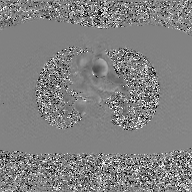
modality — 2D phase-contrast cine MRI of the ascending aorta, GAN super-resolution reconstruction.